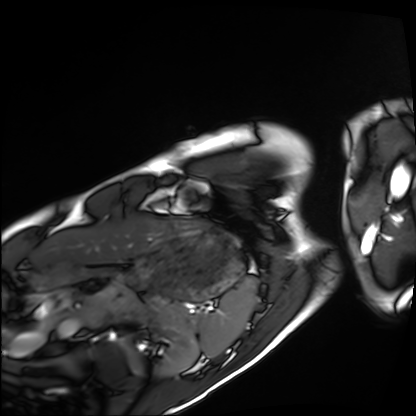
- modality — cardiac MRI
- subject group — healthy volunteer